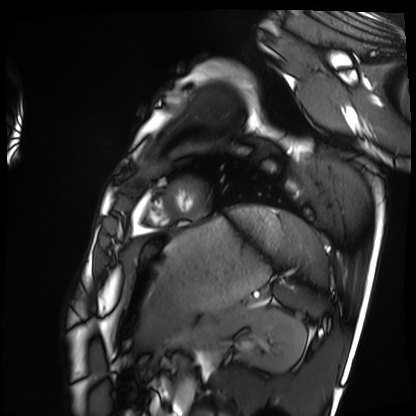
* modality — cardiac MRI
* subject group — healthy volunteer